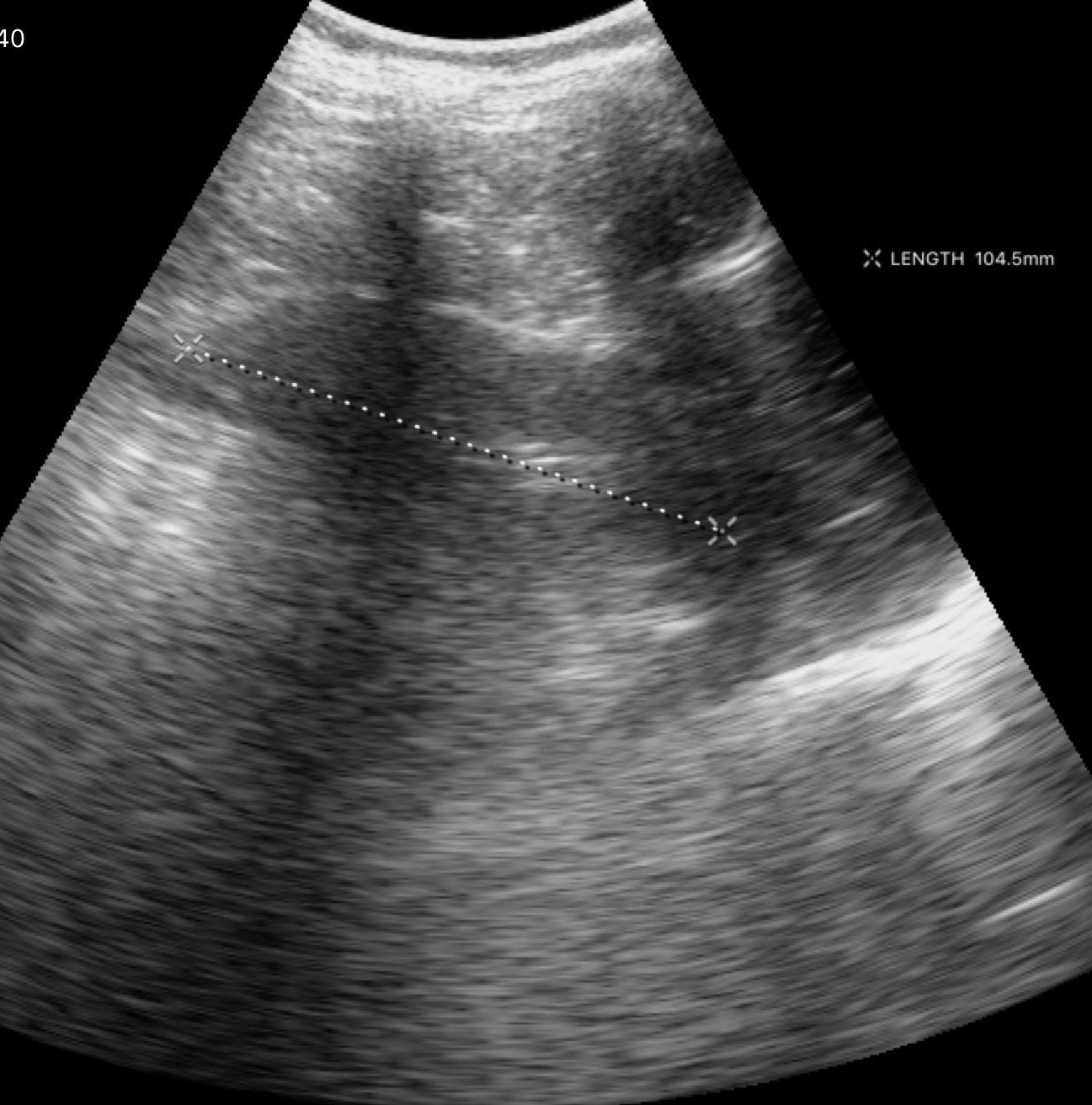
Genitourinary ultrasound.